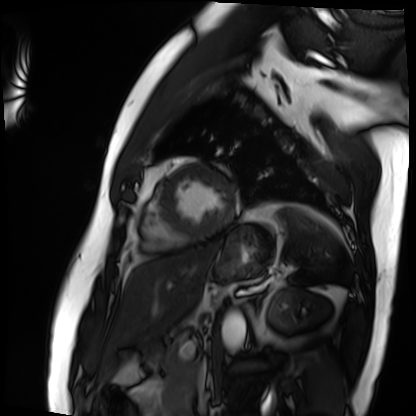
Case summary:
Cardiac MRI. Subject group: patient.